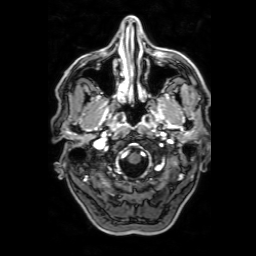
modality:
  type: brain MRI
  field_strength: 3T
series: 3D T1-weighted with SENSE
study_topic: ring-enhancing brain masses